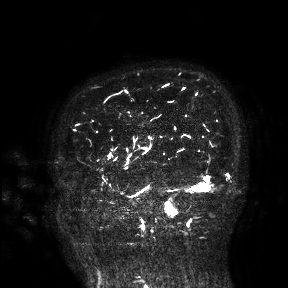
Summary: 3 Tesla brain MRI. Study: ring-enhancing brain masses.